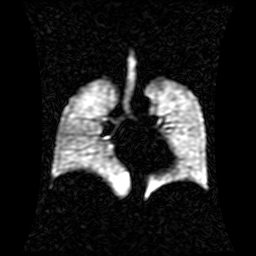
Clinical context: Hyperpolarized 129Xe ventilation MRI of the lungs. SNR level 1 of 8 (the deposit holds this scan as its native image and as seven SNR-degraded versions).